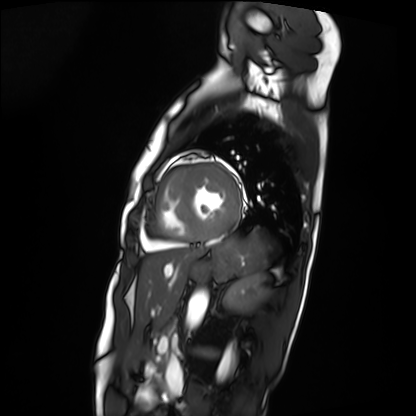
| field | value |
|---|---|
| modality | cardiac MRI |
| subject group | patient |